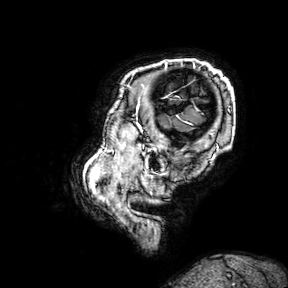
3 Tesla brain MRI.
Series: 3D T1-weighted turbo field echo with SENSE.
Study: ring-enhancing brain masses.